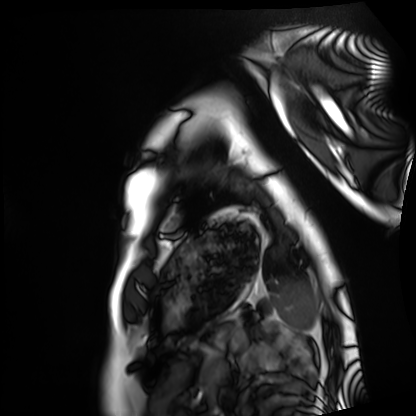
modality — cardiac MRI | subject group — healthy volunteer.